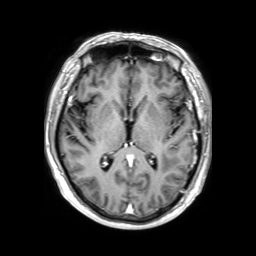
3 Tesla brain MRI.
Study: ring-enhancing brain masses.